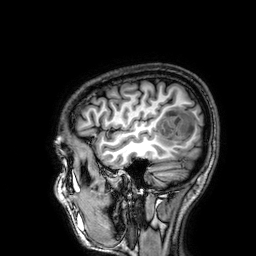
  modality:
    type: brain MRI
    field_strength: 3T
  series: 3D T1-weighted
  study_topic: ring-enhancing brain masses